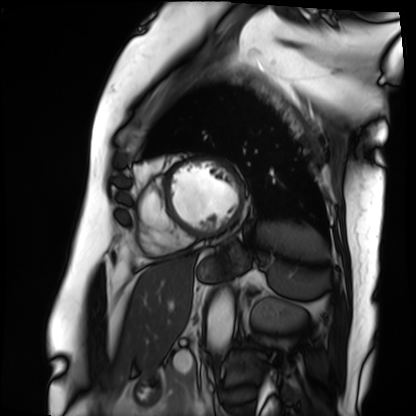
Cardiac MRI. Subject group: patient.